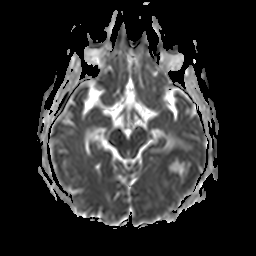
3 Tesla brain MRI. Series: apparent diffusion coefficient (ADC) map. Study: ring-enhancing brain masses.